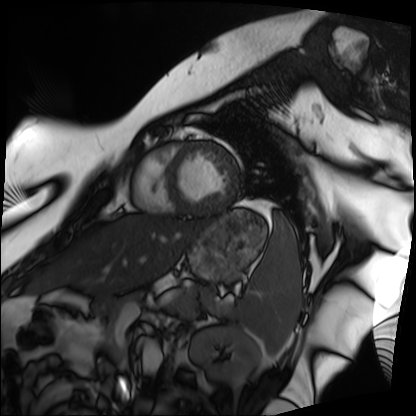
Cardiac MRI. Subject group: patient.